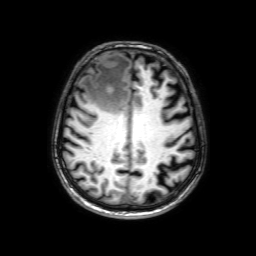
Case:
- modality · 3 Tesla brain MRI
- series · 3D T1-weighted with SENSE
- study · ring-enhancing brain masses